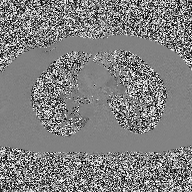
<scan>
<modality>
  <type>2D phase-contrast cine MRI</type>
  <region>ascending aorta</region>
  <reconstruction>high-resolution GRAPPA acquisition</reconstruction>
</modality>
</scan>